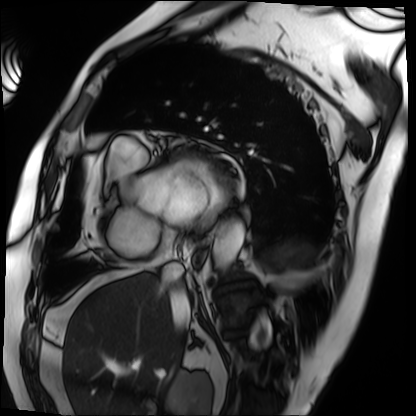
Summary:
Cardiac MRI. Subject group: patient.